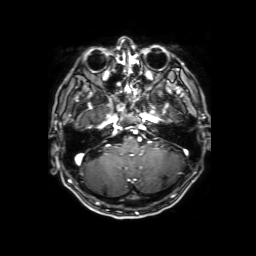
3 Tesla brain MRI. Series: 3D T1-weighted with SENSE. Study: ring-enhancing brain masses.